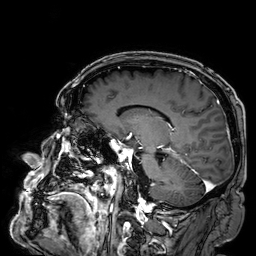
3 Tesla brain MRI.
Series: 3D T1-weighted.
Study: ring-enhancing brain masses.